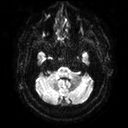
3 Tesla brain MRI.
Series: diffusion tensor imaging (medium iso).
Study: ring-enhancing brain masses.